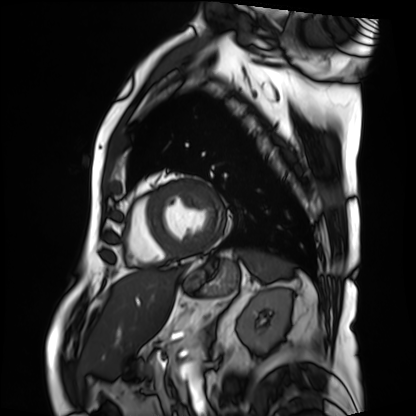
{
  "modality": "cardiac MRI",
  "cohort": "patient"
}